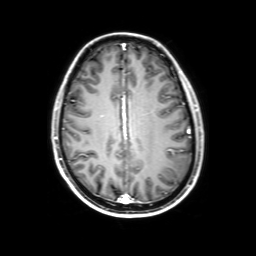
<scan>
  <modality>
    <type>brain MRI</type>
    <field_strength>3T</field_strength>
  </modality>
  <series>3D T1-weighted with SENSE</series>
  <study_topic>ring-enhancing brain masses</study_topic>
</scan>